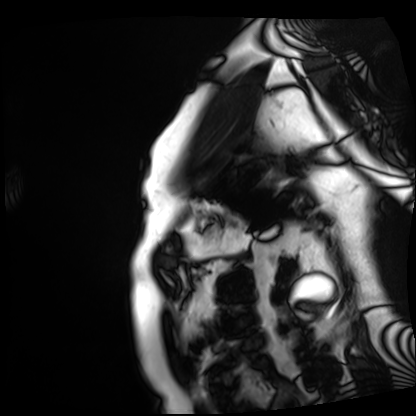
modality: cardiac MRI | subject group: patient.